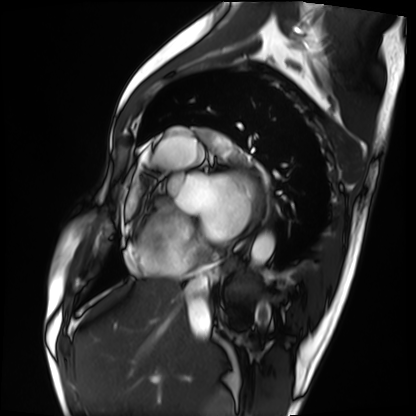
Clinical context: Cardiac MRI. Subject group: patient.